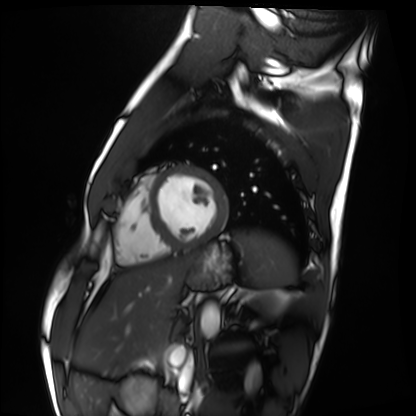
  modality: cardiac MRI
  cohort: healthy volunteer